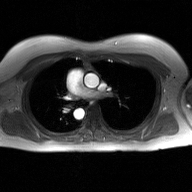
2D phase-contrast cine MRI of the ascending aorta, GAN super-resolution reconstruction.